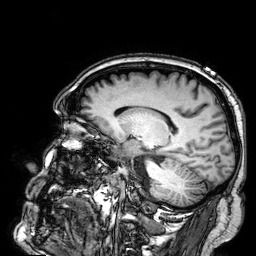
modality: 3 Tesla brain MRI
series: 3D T1-weighted
study: ring-enhancing brain masses